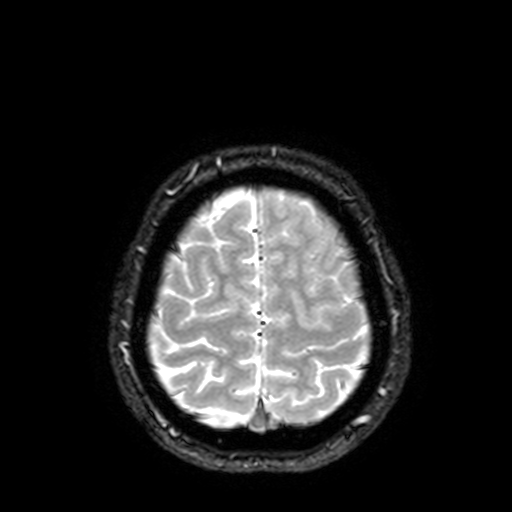
Summary: 3 Tesla brain MRI. Study: ring-enhancing brain masses.